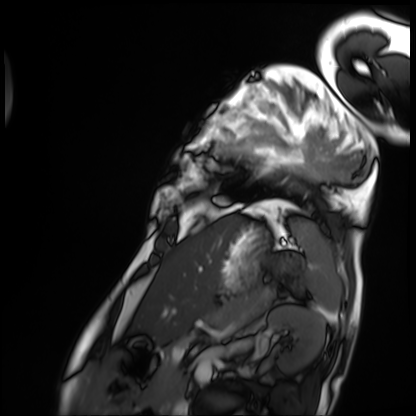
Cardiac MRI.
Subject group: patient.